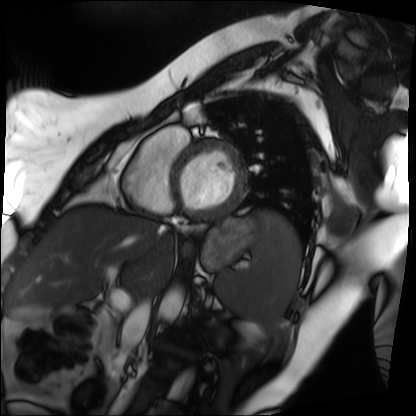
• modality — cardiac MRI
• subject group — patient